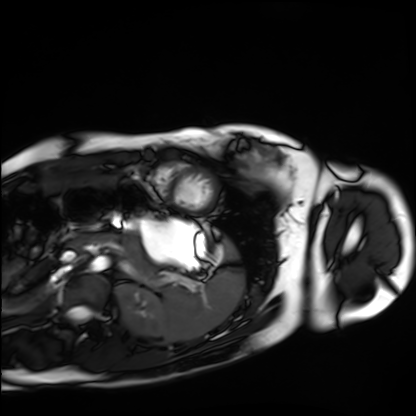
Case:
• modality: cardiac MRI
• subject group: healthy volunteer